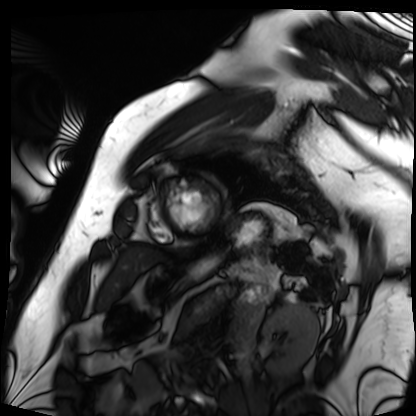
Cardiac MRI. Subject group: patient.